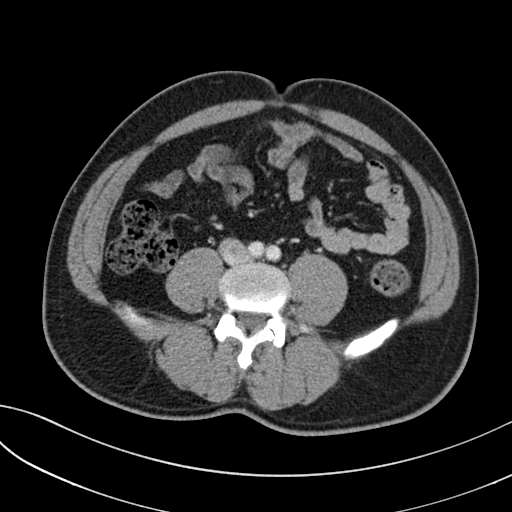
{
  "modality": {
    "type": "multiphase abdominal CT",
    "region": "liver",
    "phase": "portal venous"
  },
  "patient": {
    "sex": "male",
    "age": 40
  },
  "history": [
    "prior chemotherapy"
  ]
}